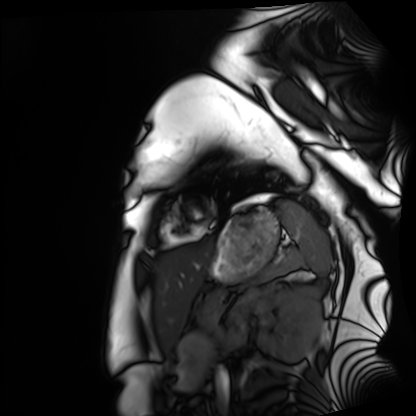
modality: cardiac MRI, subject group: healthy volunteer.